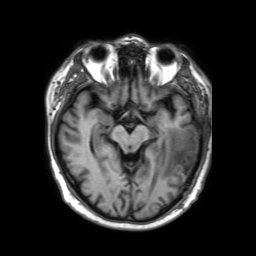
modality: 3 Tesla brain MRI | series: 3D T1-weighted TFE with SENSE | study: ring-enhancing brain masses.